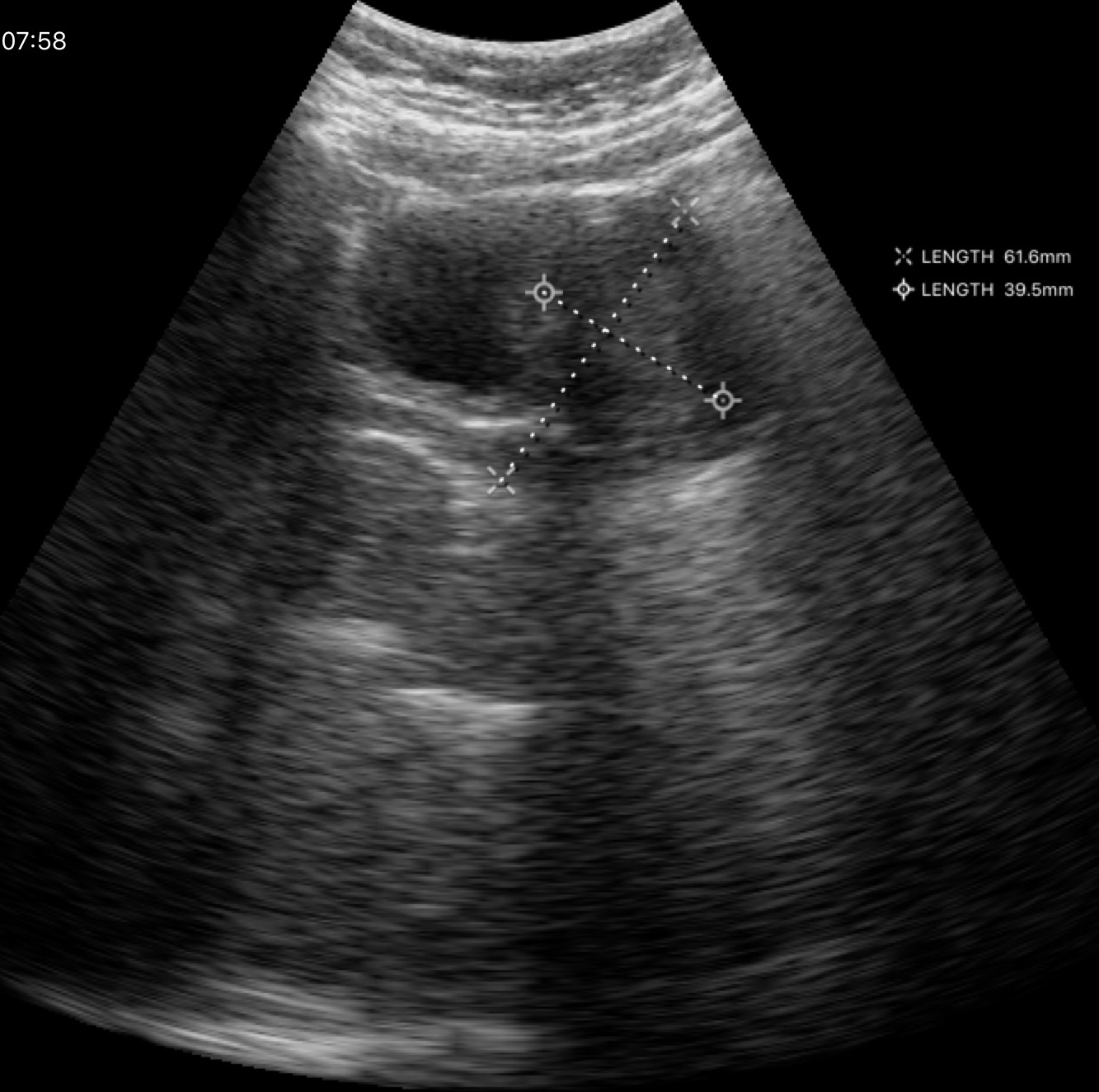
{
  "modality": {
    "type": "genitourinary ultrasound"
  }
}